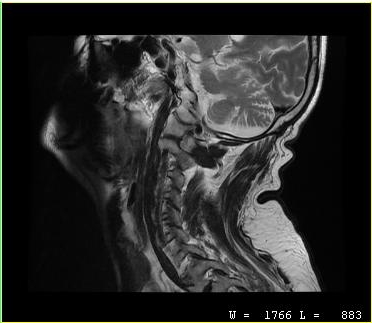
Summary:
MRI of the cervical spine. Study: cervical spondylosis.